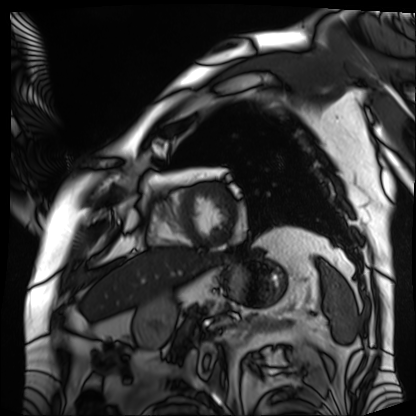
Case summary: Cardiac MRI. Subject group: patient.